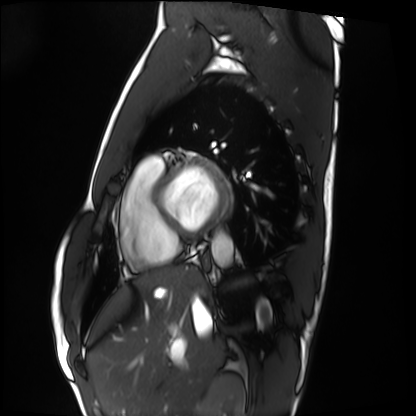
modality = cardiac MRI | subject group = healthy volunteer.